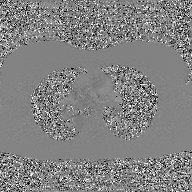
modality=2D phase-contrast cine MRI of the ascending aorta, GAN super-resolution reconstruction